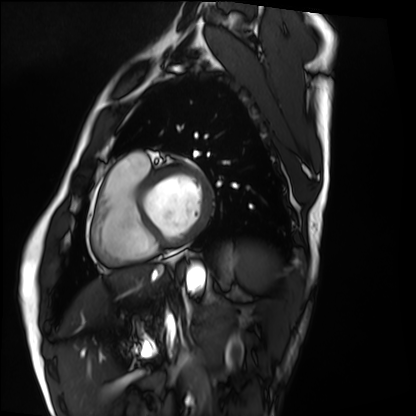
Summary:
Cardiac MRI. Subject group: healthy volunteer.